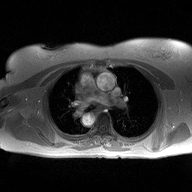
2D phase-contrast cine MRI of the ascending aorta, high-resolution GRAPPA acquisition.